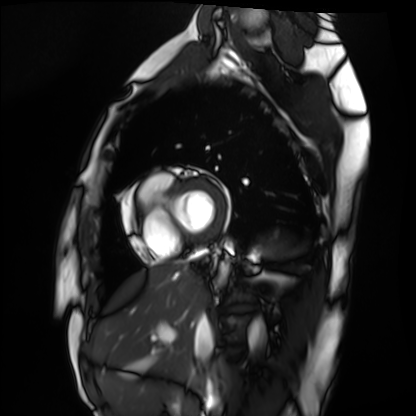
Case summary: Cardiac MRI. Subject group: healthy volunteer.